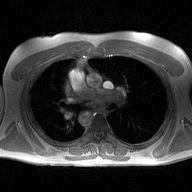
2D phase-contrast cine MRI of the ascending aorta, high-resolution GRAPPA acquisition.